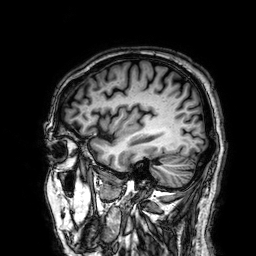
3 Tesla brain MRI. Series: 3D T1-weighted. Study: ring-enhancing brain masses.